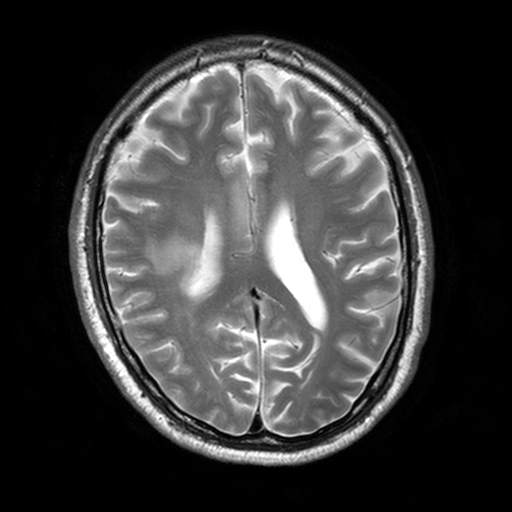
Q: What kind of scan is this?
A: 3 Tesla brain MRI.
Q: Series?
A: T2-weighted turbo spin echo, 3 mm.
Study: ring-enhancing brain masses.